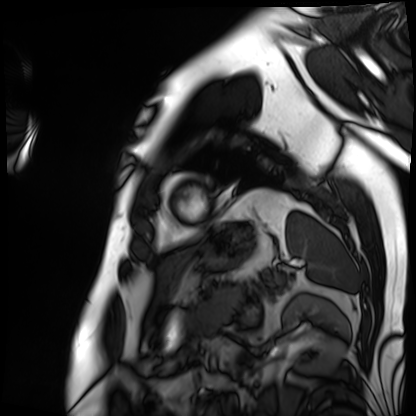
Cardiac MRI. Subject group: patient.